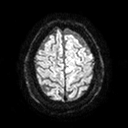
Q: What kind of scan is this?
A: 3 Tesla brain MRI.
Q: Series?
A: Diffusion tensor imaging (medium iso).
Study: ring-enhancing brain masses.